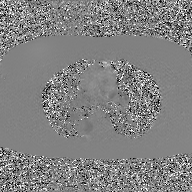
modality:
  type: 2D phase-contrast cine MRI
  region: ascending aorta
  reconstruction: GAN super-resolution reconstruction